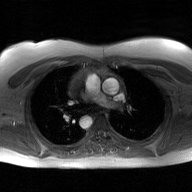
Q: What kind of scan is this?
A: 2D phase-contrast cine MRI of the ascending aorta, GAN super-resolution reconstruction.